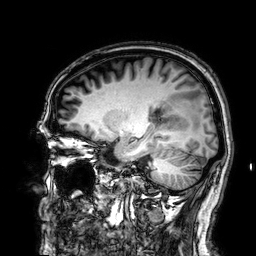
modality: 3 Tesla brain MRI; series: 3D T1-weighted; study: ring-enhancing brain masses.